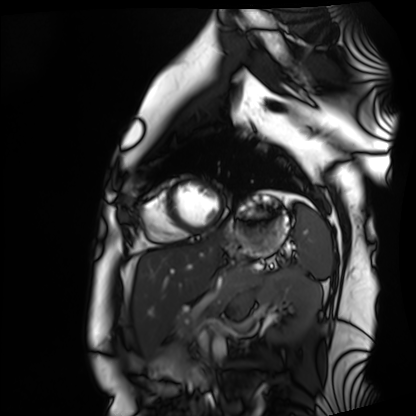
Case summary:
Cardiac MRI. Subject group: healthy volunteer.